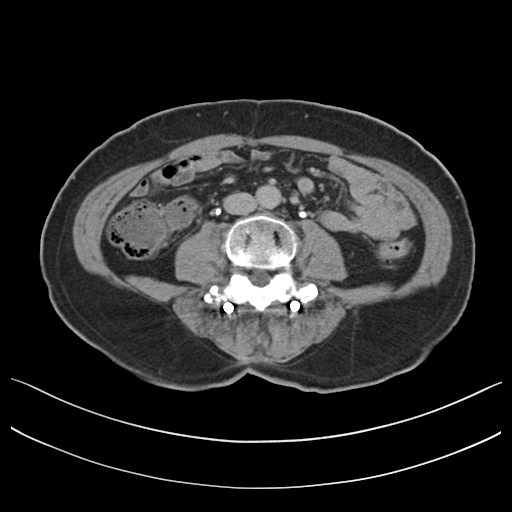
modality: multiphase abdominal CT, liver, delayed phase; patient: male, age 65.